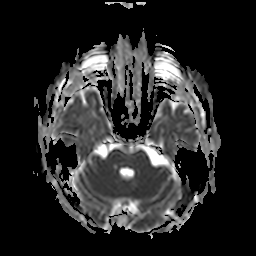
3 Tesla brain MRI. Series: apparent diffusion coefficient (ADC) map. Study: ring-enhancing brain masses.